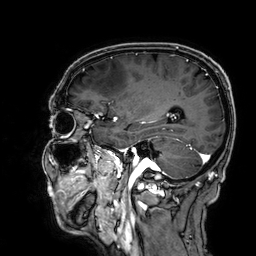
modality = 3 Tesla brain MRI; series = 3D T1-weighted; study = ring-enhancing brain masses.